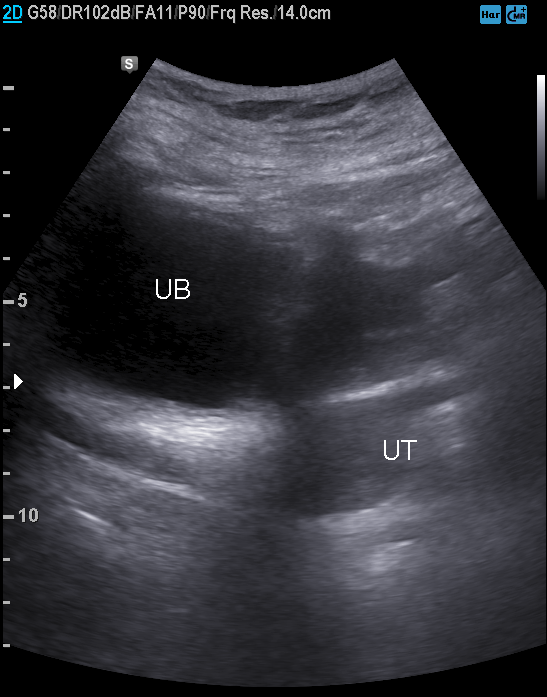
Genitourinary ultrasound.